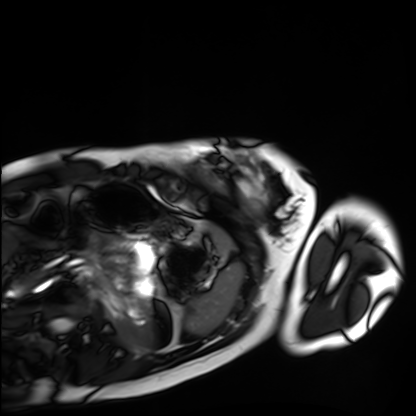
Case:
* modality: cardiac MRI
* subject group: healthy volunteer